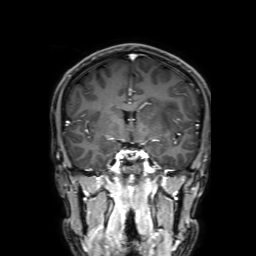
modality=3 Tesla brain MRI | series=3D T1-weighted with SENSE | study=ring-enhancing brain masses.